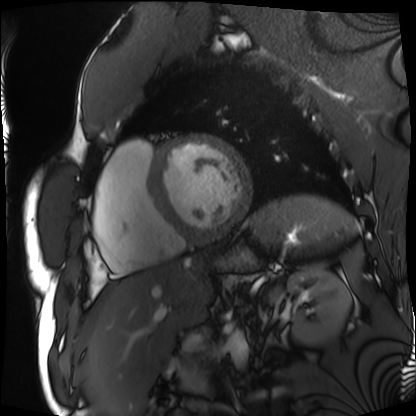
Q: What kind of scan is this?
A: Cardiac MRI.
Subject group: patient.